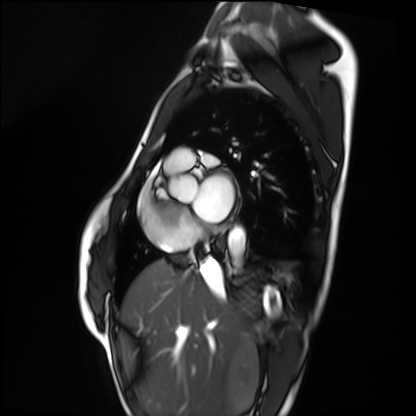
- modality · cardiac MRI
- subject group · healthy volunteer